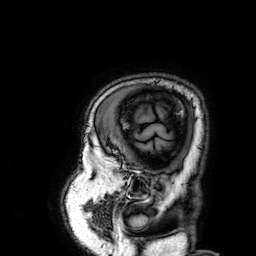
{
  "modality": {
    "type": "brain MRI",
    "field_strength": "3T"
  },
  "series": "3D T1-weighted",
  "study_topic": "ring-enhancing brain masses"
}